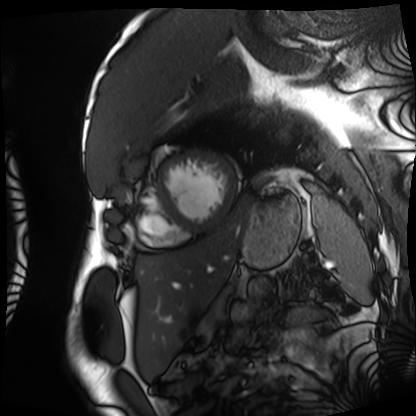
Case:
- modality: cardiac MRI
- subject group: patient